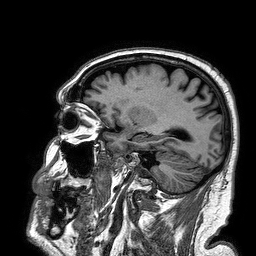
Summary:
3 Tesla brain MRI. Series: 3D T1-weighted turbo field echo. Study: ring-enhancing brain masses.